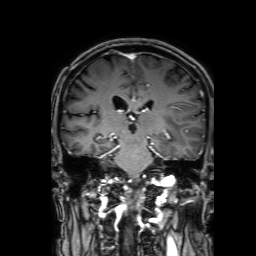
Q: What kind of scan is this?
A: 3 Tesla brain MRI.
Q: Series?
A: 3D T1-weighted with SENSE.
Study: ring-enhancing brain masses.